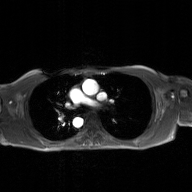
Q: What kind of scan is this?
A: 2D phase-contrast cine MRI of the ascending aorta, GAN super-resolution reconstruction.